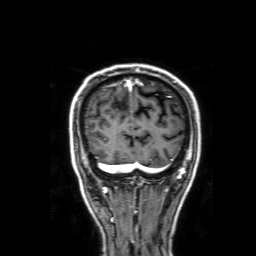
Q: What kind of scan is this?
A: 3 Tesla brain MRI.
Q: Series?
A: 3D T1-weighted with SENSE.
Study: ring-enhancing brain masses.